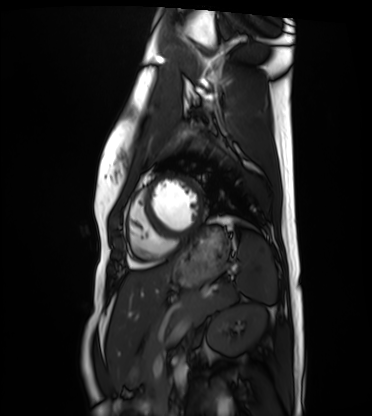
Cardiac MRI. Subject group: healthy volunteer.